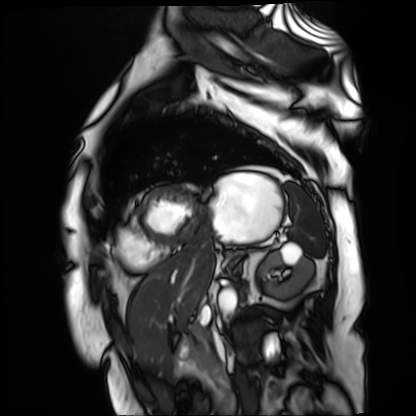
Cardiac MR image of the myocardium. Subject cohort: cardiac patient.